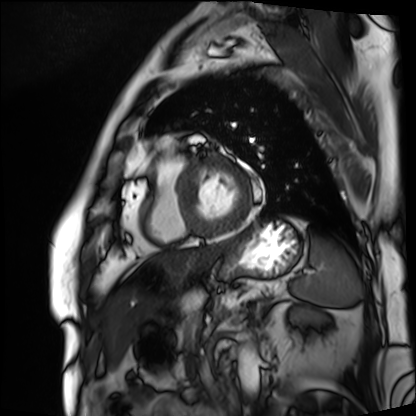
modality=cardiac MRI
subject group=patient